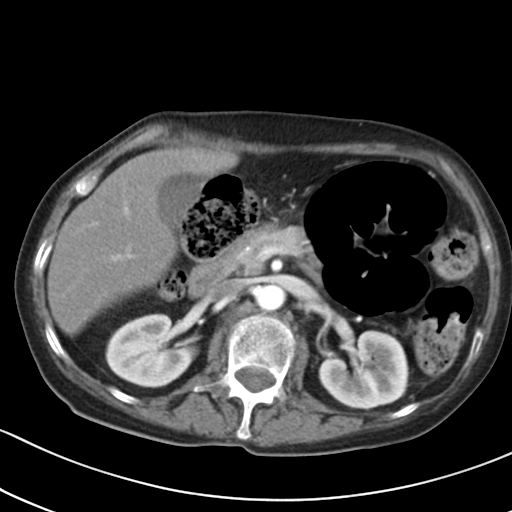
Case:
• modality — multiphase abdominal CT, liver, arterial phase
• patient — female, age 65